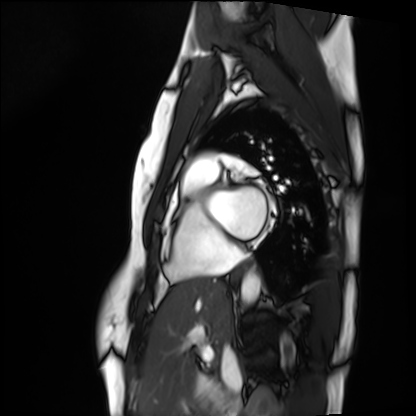
Q: What kind of scan is this?
A: Cardiac MRI.
Subject group: healthy volunteer.